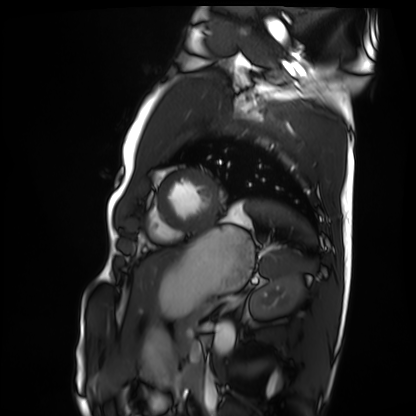
Cardiac MRI.
Subject group: healthy volunteer.